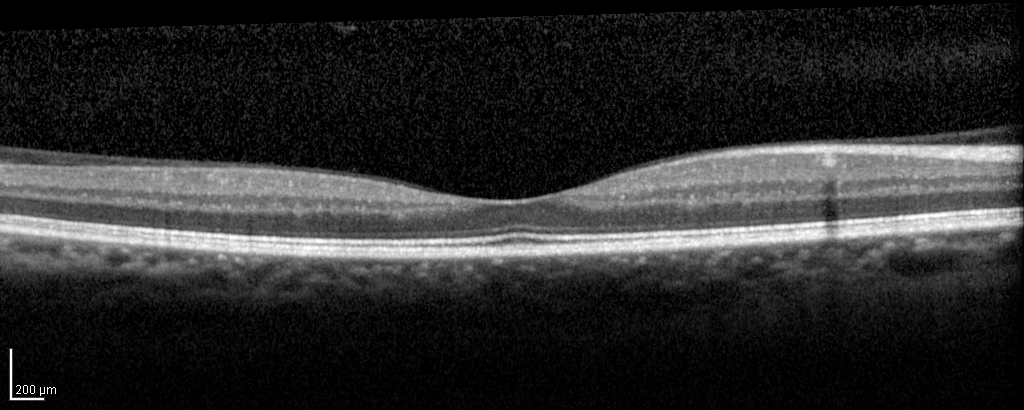
Q: What kind of scan is this?
A: Spectral-domain optical coherence tomography (SD-OCT) of the macula.
Q: Subject?
A: Male, age 58, right eye.
Cohort: non-diabetic control.
Q: ETDRS-grid retinal thickness (μm)?
A: Central 244, inner temporal 323, inner nasal 346, inner superior 345, inner inferior 346, outer temporal 299, outer nasal 331, outer inferior 314.